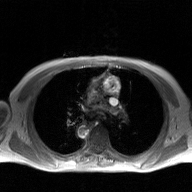
Case summary: 2D phase-contrast cine MRI of the ascending aorta, GAN super-resolution reconstruction.